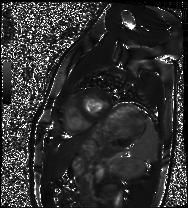
Case:
– modality — cardiac MRI
– subject group — healthy volunteer